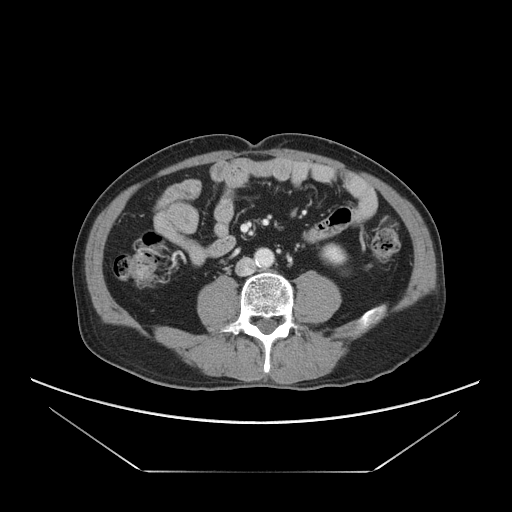
Multiphase abdominal CT, liver, portal venous phase.
Patient: male, age 69.
History: viral hepatitis.